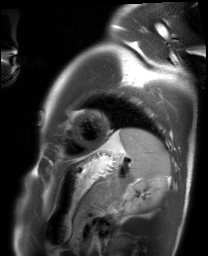
Cardiac MRI. Subject group: healthy volunteer.